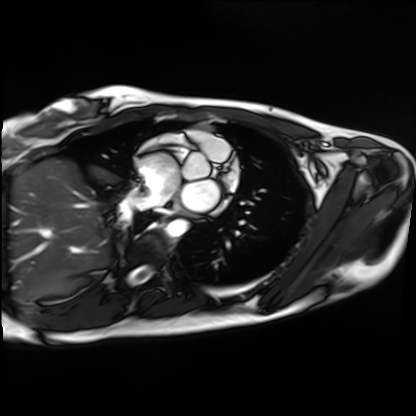
<scan>
  <modality>cardiac MRI</modality>
  <cohort>healthy volunteer</cohort>
</scan>